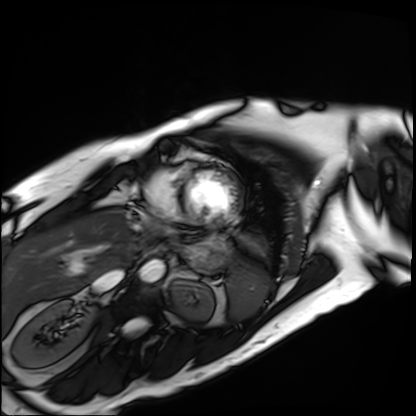
{
  "modality": "cardiac MRI",
  "cohort": "patient"
}